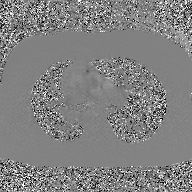
Clinical context:
2D phase-contrast cine MRI of the ascending aorta, GAN super-resolution reconstruction.